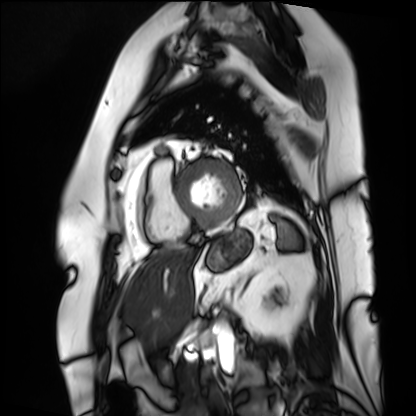
Cardiac MRI. Subject group: patient.